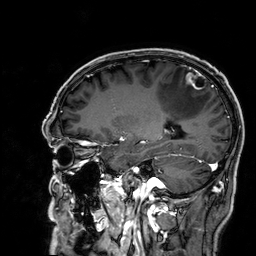
modality — 3 Tesla brain MRI | study — ring-enhancing brain masses.